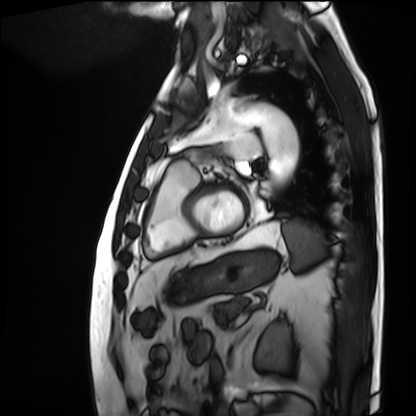
Cardiac MRI.
Subject group: patient.